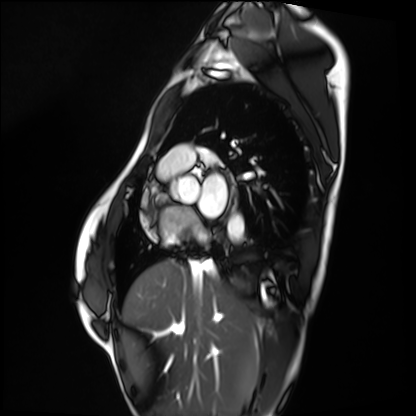
modality = cardiac MRI
subject group = healthy volunteer